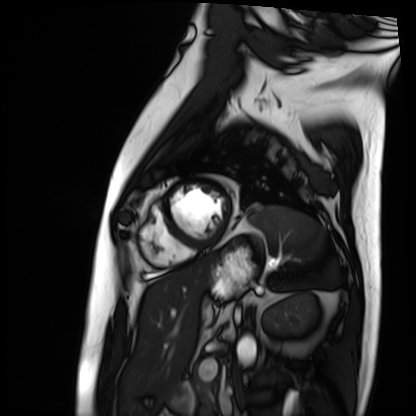
modality = cardiac MRI, subject group = patient.